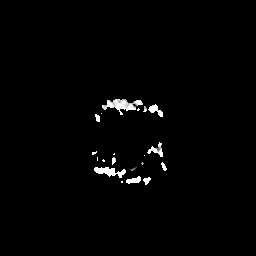
modality — 3 Tesla brain MRI
series — apparent diffusion coefficient (ADC) map
study — ring-enhancing brain masses